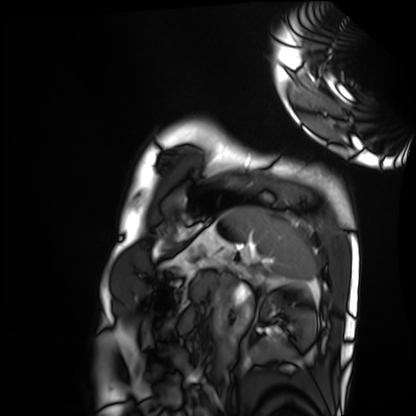
Cardiac MRI.
Subject group: healthy volunteer.